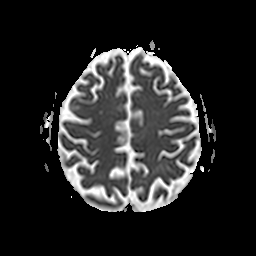
{"modality": {"type": "brain MRI", "field_strength": "3T"}, "series": "apparent diffusion coefficient (ADC) map", "study_topic": "ring-enhancing brain masses"}